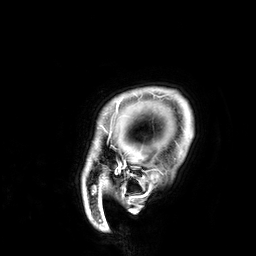
{"modality": {"type": "brain MRI", "field_strength": "3T"}, "series": "3D T1-weighted", "study_topic": "ring-enhancing brain masses"}